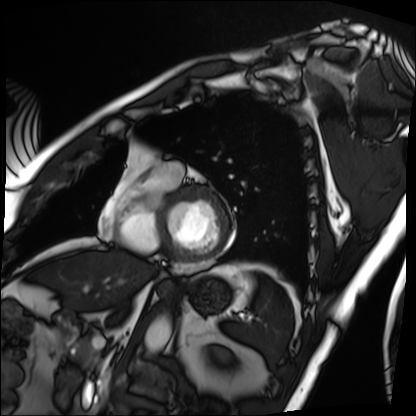
Cardiac MRI.
Subject group: patient.